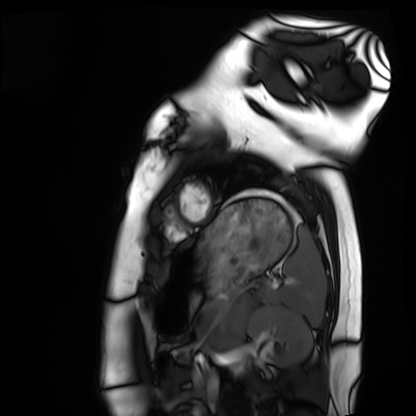
<study>
<modality>cardiac MRI</modality>
<cohort>healthy volunteer</cohort>
</study>